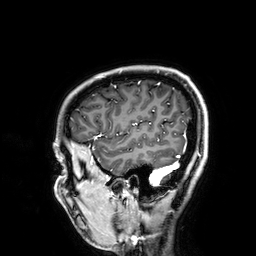
Clinical context:
3 Tesla brain MRI. Series: 3D T1-weighted. Study: ring-enhancing brain masses.